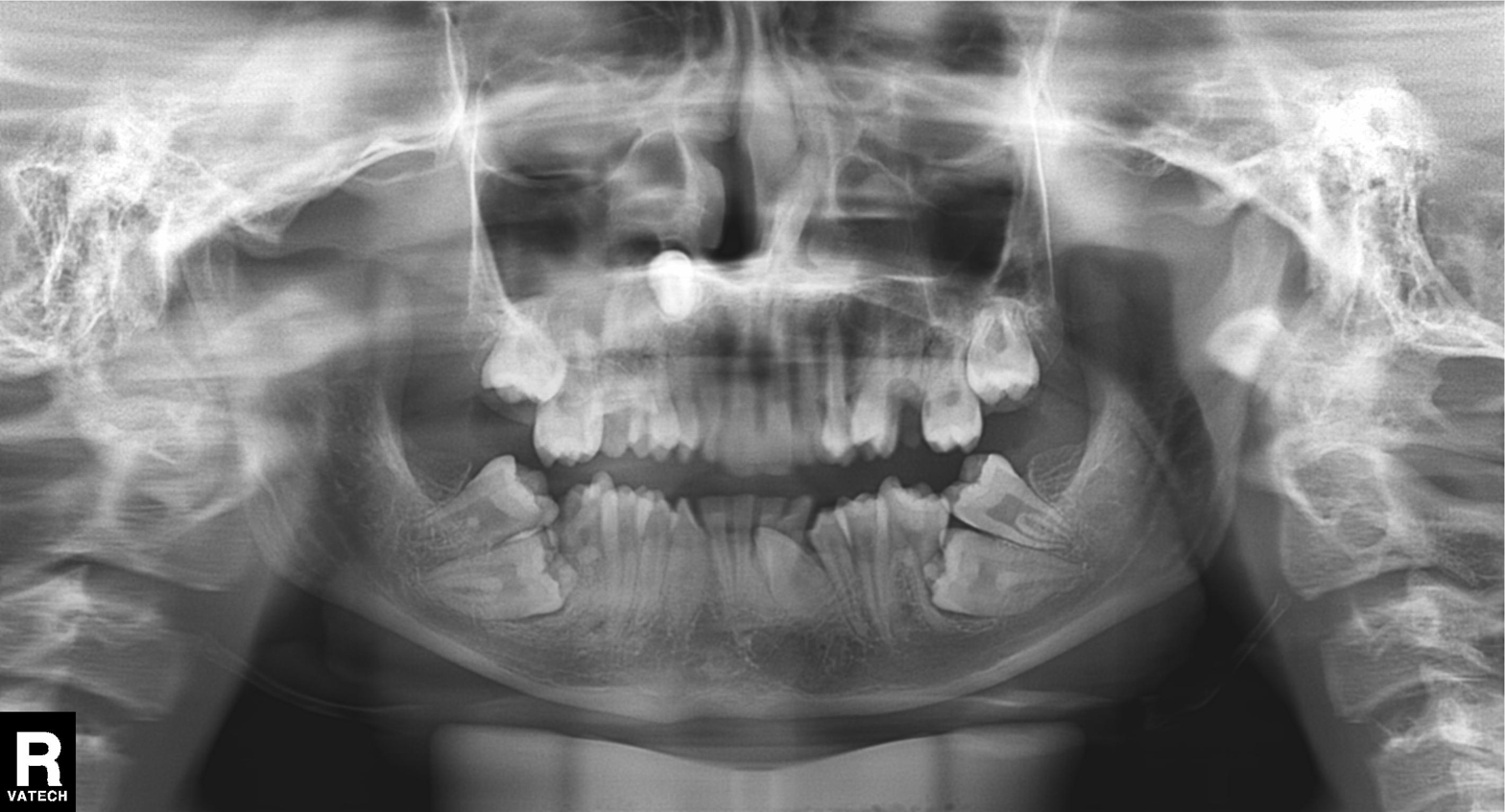
Panoramic dental radiograph (orthopantomogram). Finding: alveolar bone loss.